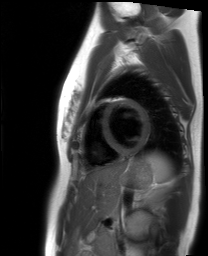
Cardiac MRI.
Subject group: healthy volunteer.